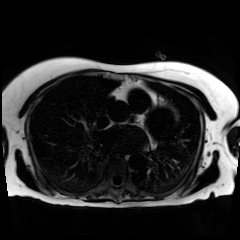
• modality — chemical-shift-encoded cardiac MRI